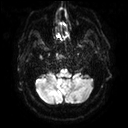
3 Tesla brain MRI. Study: ring-enhancing brain masses.